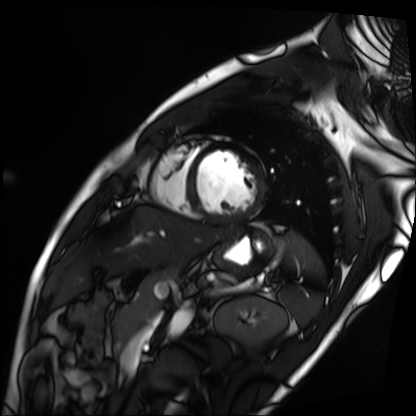
modality: cardiac MRI | subject group: patient.